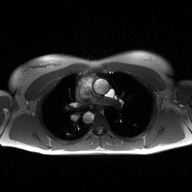
{"modality": {"type": "2D phase-contrast cine MRI", "region": "ascending aorta", "reconstruction": "high-resolution GRAPPA acquisition"}}